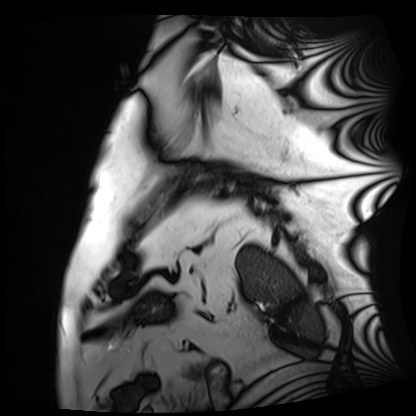
– modality — cardiac MRI
– subject group — patient